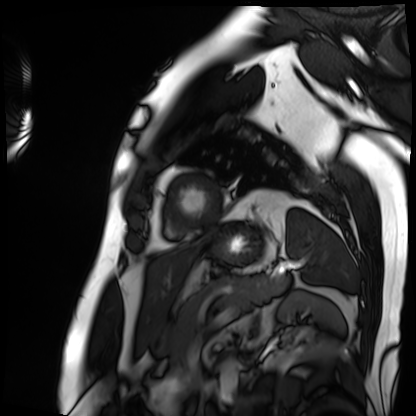
Cardiac MRI. Subject group: patient.